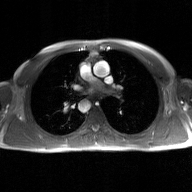
- modality: 2D phase-contrast cine MRI of the ascending aorta, GAN super-resolution reconstruction